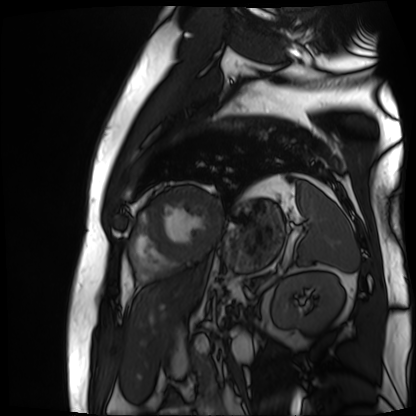
| field | value |
|---|---|
| modality | cardiac MR image of the myocardium |
| subject cohort | cardiac patient |